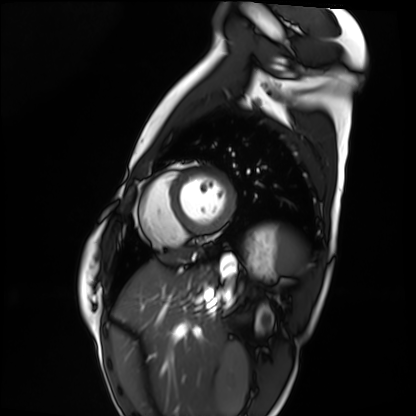
modality = cardiac MRI | subject group = healthy volunteer.